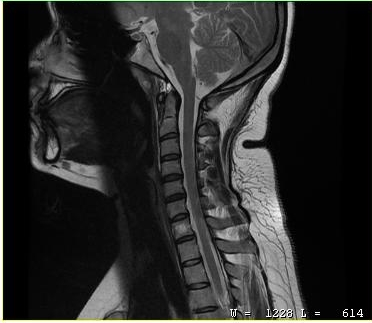
Clinical context:
MRI of the cervical spine. Study: cervical spondylosis.